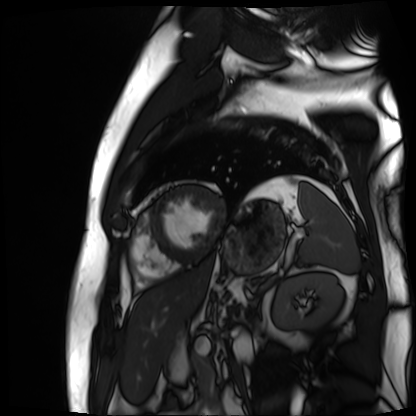
modality = cardiac MR image of the myocardium
subject cohort = cardiac patient